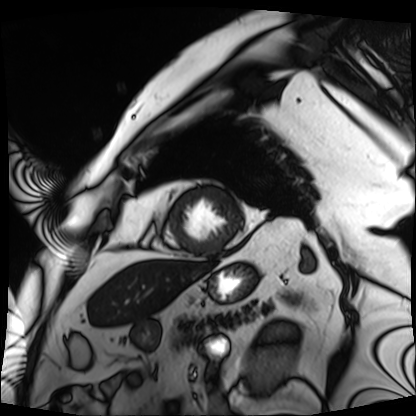
modality — cardiac MRI | subject group — patient.